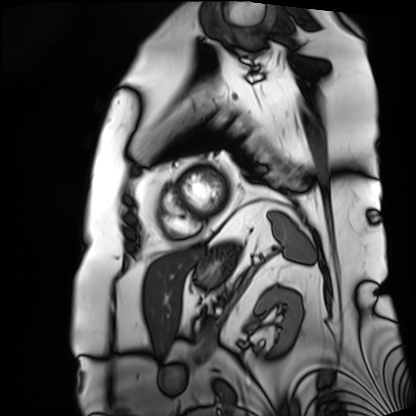
<scan>
<modality>cardiac MRI</modality>
<cohort>patient</cohort>
</scan>